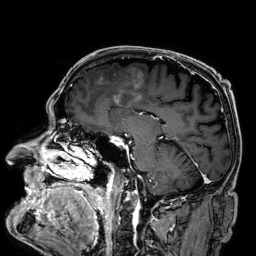
3 Tesla brain MRI. Series: 3D T1-weighted. Study: ring-enhancing brain masses.